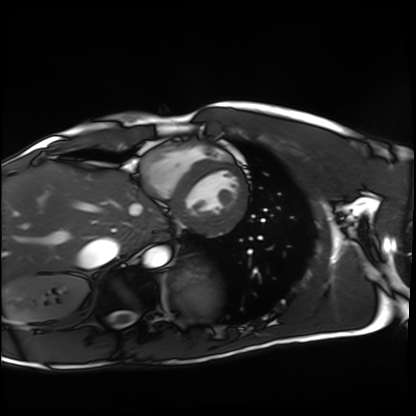
Cardiac MRI. Subject group: healthy volunteer.